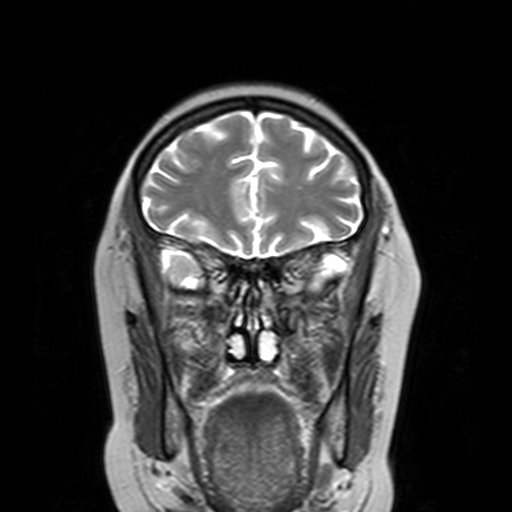
3 Tesla brain MRI. Series: T2-weighted turbo spin echo with SENSE. Study: ring-enhancing brain masses.